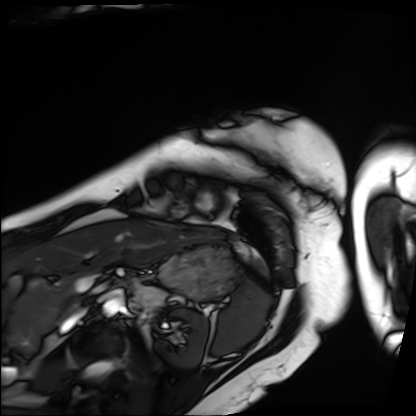
modality=cardiac MRI
subject group=patient